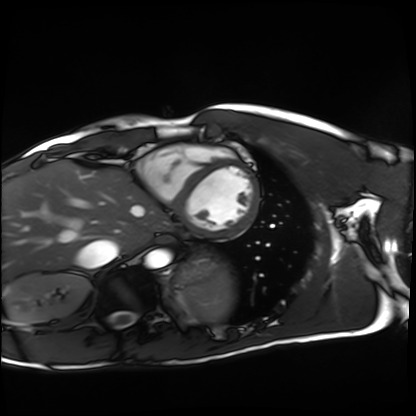
Clinical context:
Cardiac MRI. Subject group: healthy volunteer.